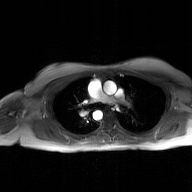
Summary:
2D phase-contrast cine MRI of the ascending aorta, GAN super-resolution reconstruction.